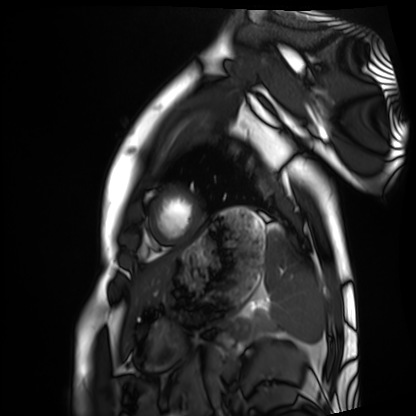
<study>
<modality>cardiac MRI</modality>
<cohort>healthy volunteer</cohort>
</study>